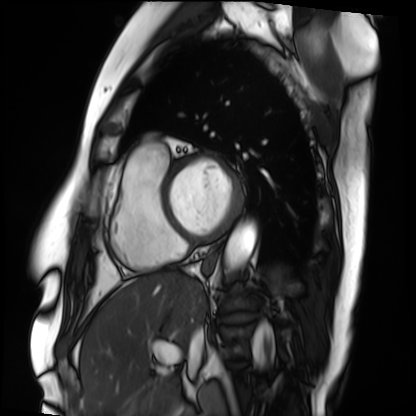
modality = cardiac MRI
subject group = patient